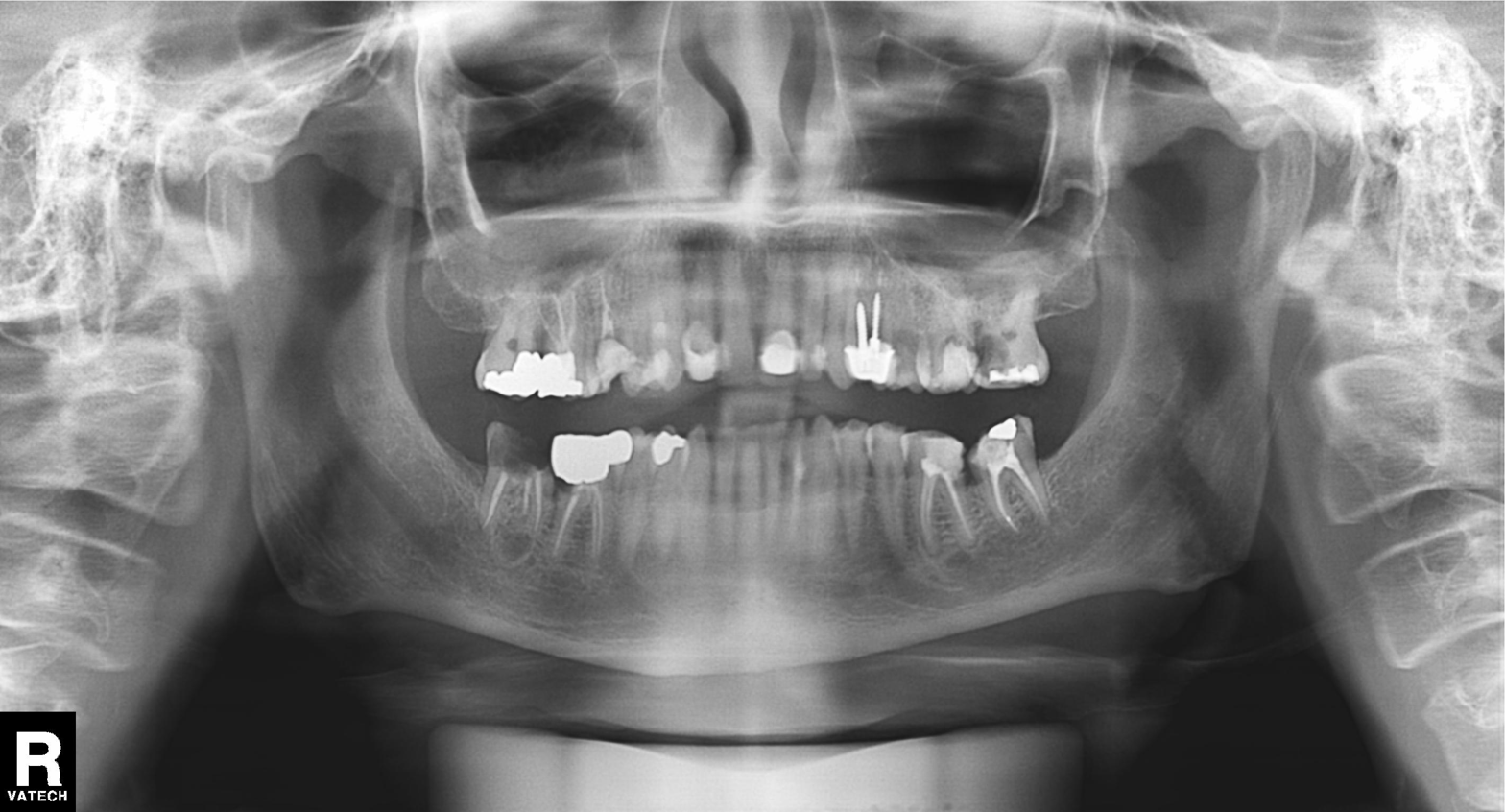
Panoramic dental radiograph (orthopantomogram). Finding: dental caries (cavities).